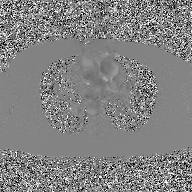
Summary: 2D phase-contrast cine MRI of the ascending aorta, GAN super-resolution reconstruction.